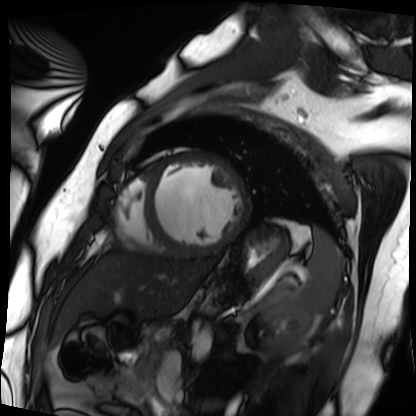
{
  "modality": "cardiac MRI",
  "cohort": "patient"
}